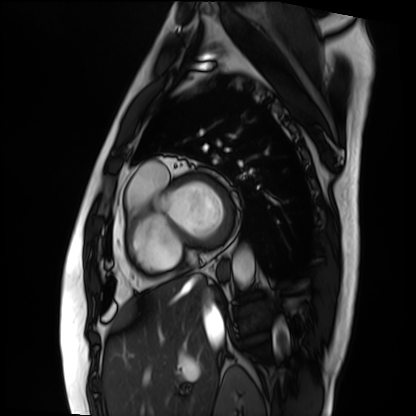
Summary: Cardiac MRI. Subject group: patient.